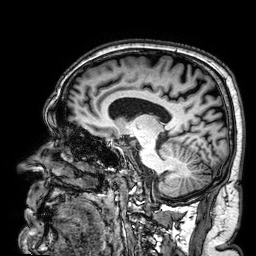
- modality: 3 Tesla brain MRI
- series: 3D T1-weighted
- study: ring-enhancing brain masses